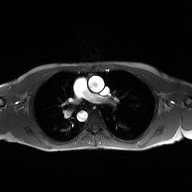
2D phase-contrast cine MRI of the ascending aorta, high-resolution GRAPPA acquisition.